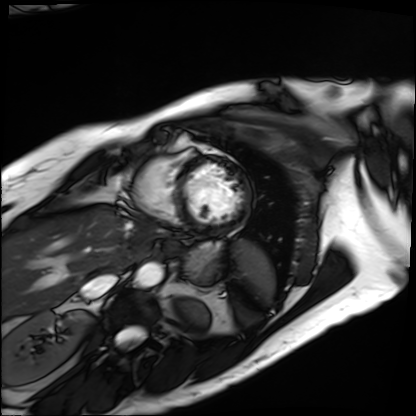
– modality — cardiac MRI
– subject group — patient